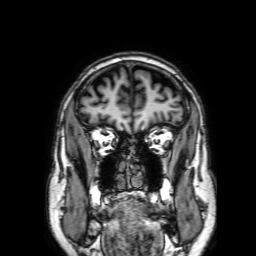
3 Tesla brain MRI. Study: ring-enhancing brain masses.